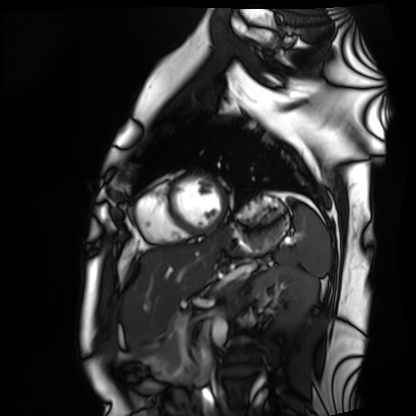
modality = cardiac MRI; subject group = healthy volunteer.